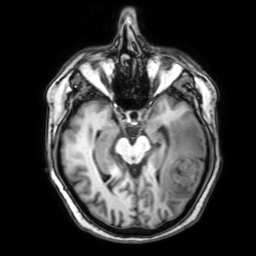
| field | value |
|---|---|
| modality | 3 Tesla brain MRI |
| series | 3D T1-weighted with SENSE |
| study | ring-enhancing brain masses |